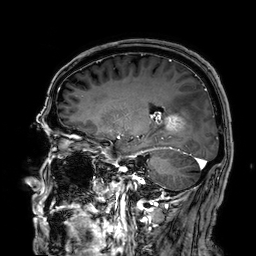
modality:
  type: brain MRI
  field_strength: 3T
series: 3D T1-weighted
study_topic: ring-enhancing brain masses